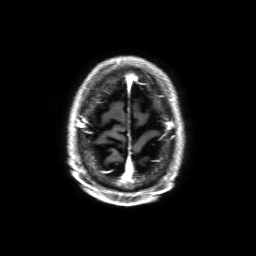
3 Tesla brain MRI. Series: 3D T1-weighted with SENSE. Study: ring-enhancing brain masses.